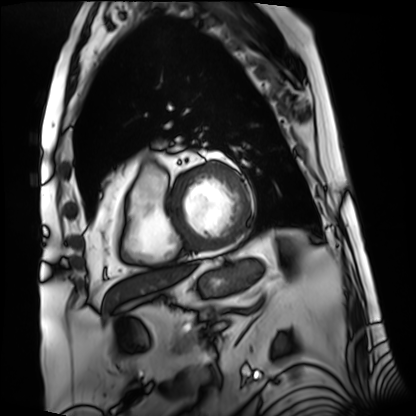
Summary:
Cardiac MRI. Subject group: patient.